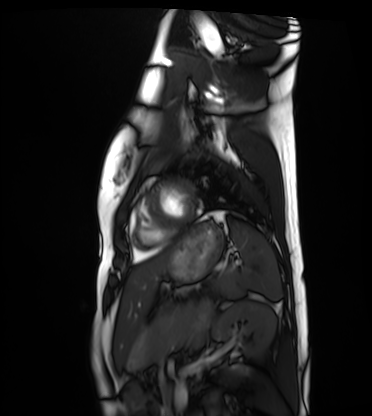
Cardiac MRI. Subject group: healthy volunteer.